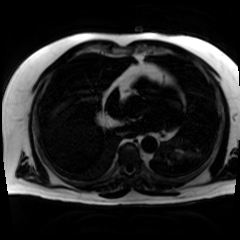
• modality · chemical-shift-encoded cardiac MRI